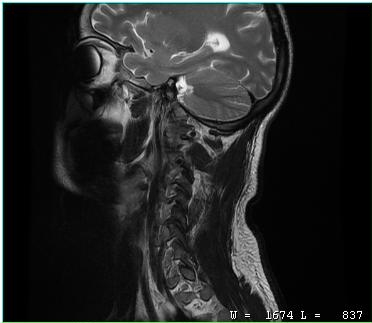
MRI of the cervical spine. Study: cervical spondylosis.